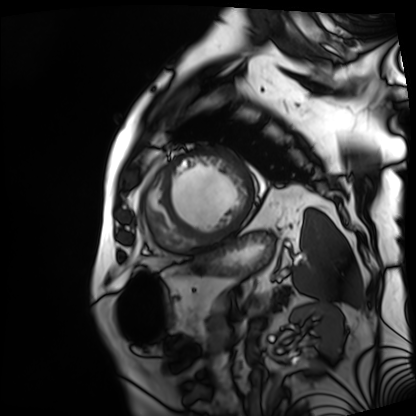
modality: cardiac MRI, subject group: patient.